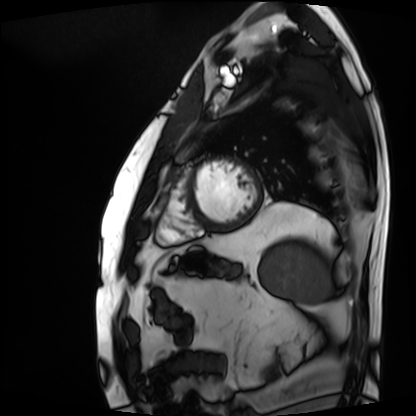
Cardiac MRI. Subject group: patient.